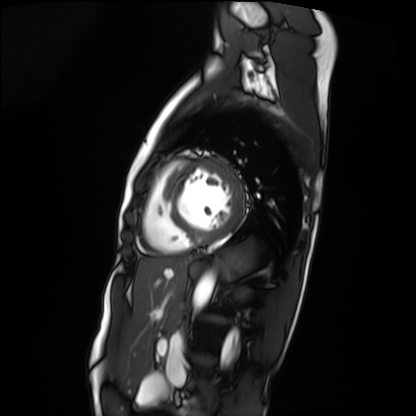
modality: cardiac MRI; subject group: patient.